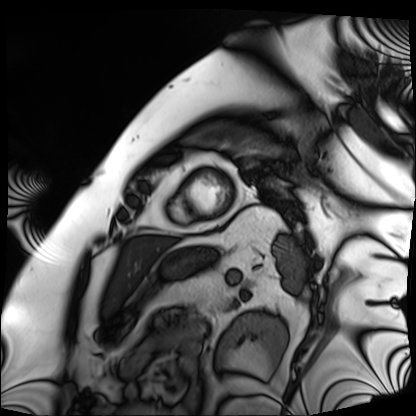
Q: What kind of scan is this?
A: Cardiac MRI.
Subject group: patient.